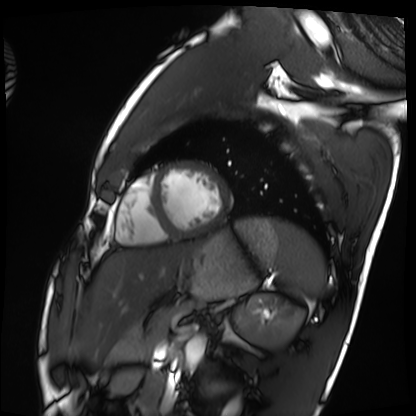
  modality: cardiac MRI
  cohort: healthy volunteer